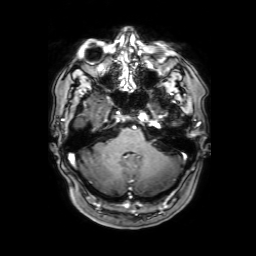
3 Tesla brain MRI.
Series: 3D T1-weighted with SENSE.
Study: ring-enhancing brain masses.